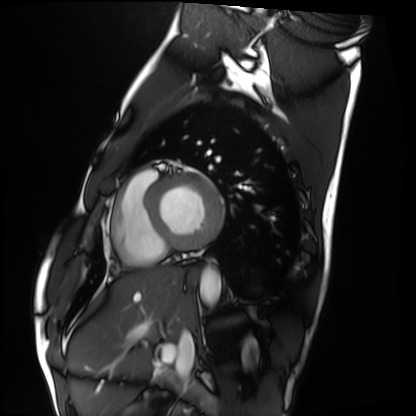
{
  "modality": "cardiac MRI",
  "cohort": "healthy volunteer"
}